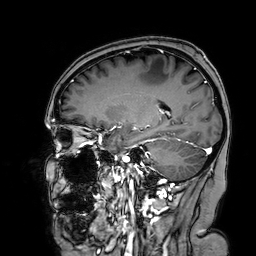
modality = 3 Tesla brain MRI | series = 3D T1-weighted turbo field echo with SENSE | study = ring-enhancing brain masses.